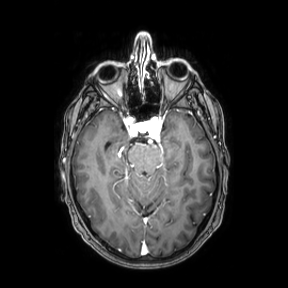
{"modality": {"type": "brain MRI", "field_strength": "3T"}, "series": "axial", "study_topic": "ring-enhancing brain masses"}